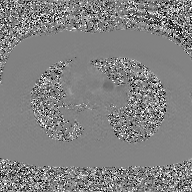
{
  "modality": {
    "type": "2D phase-contrast cine MRI",
    "region": "ascending aorta",
    "reconstruction": "GAN super-resolution reconstruction"
  }
}